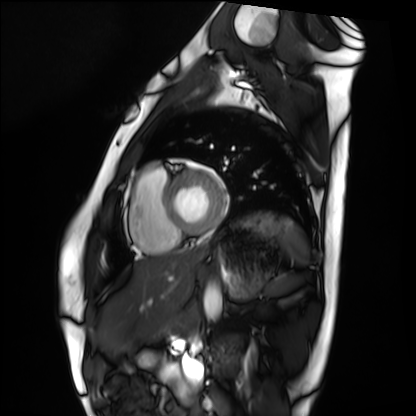
Case summary: Cardiac MRI. Subject group: healthy volunteer.